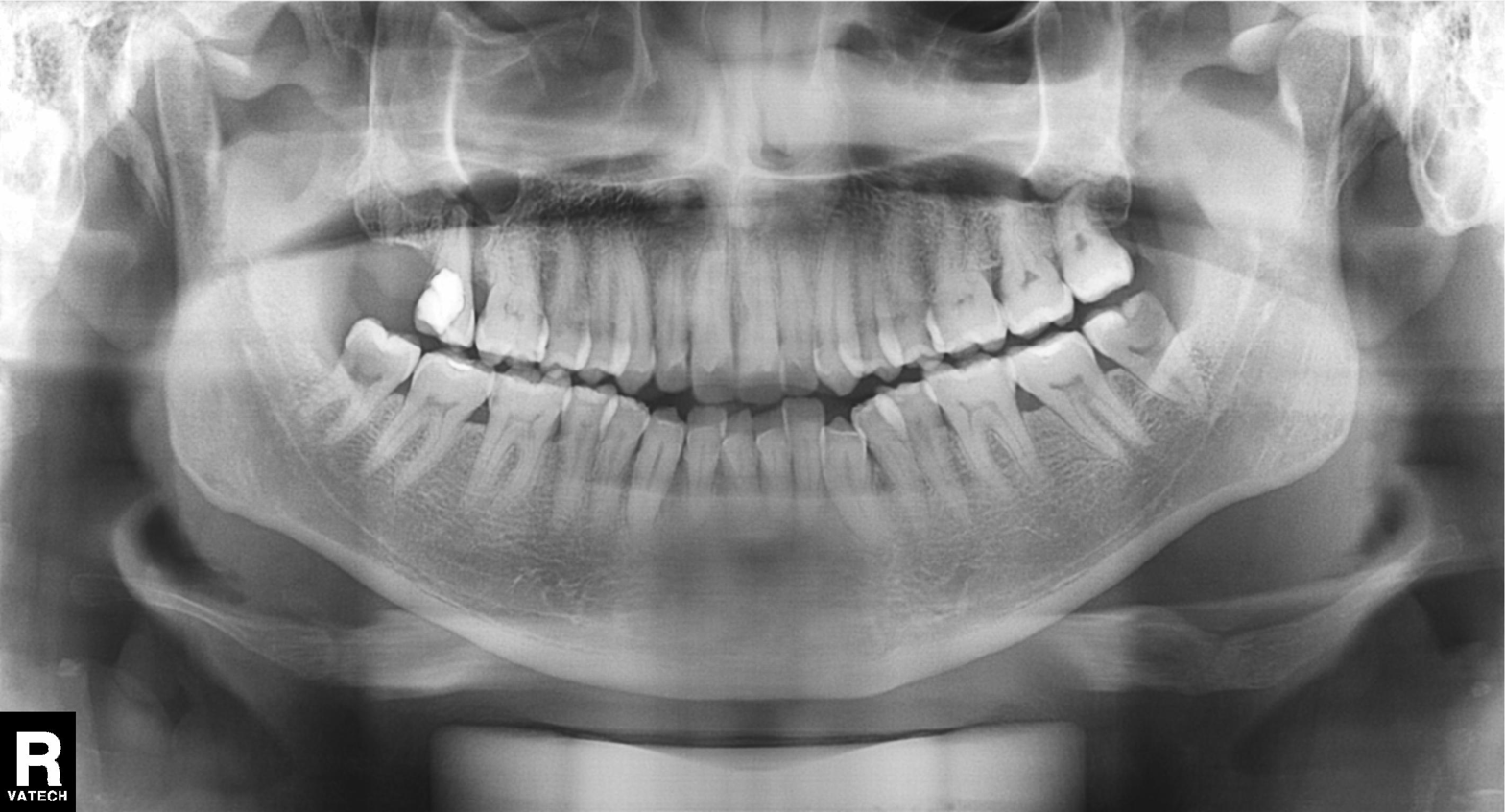
Case summary:
Panoramic dental radiograph (orthopantomogram).
Assessment:
Dental caries (cavities).